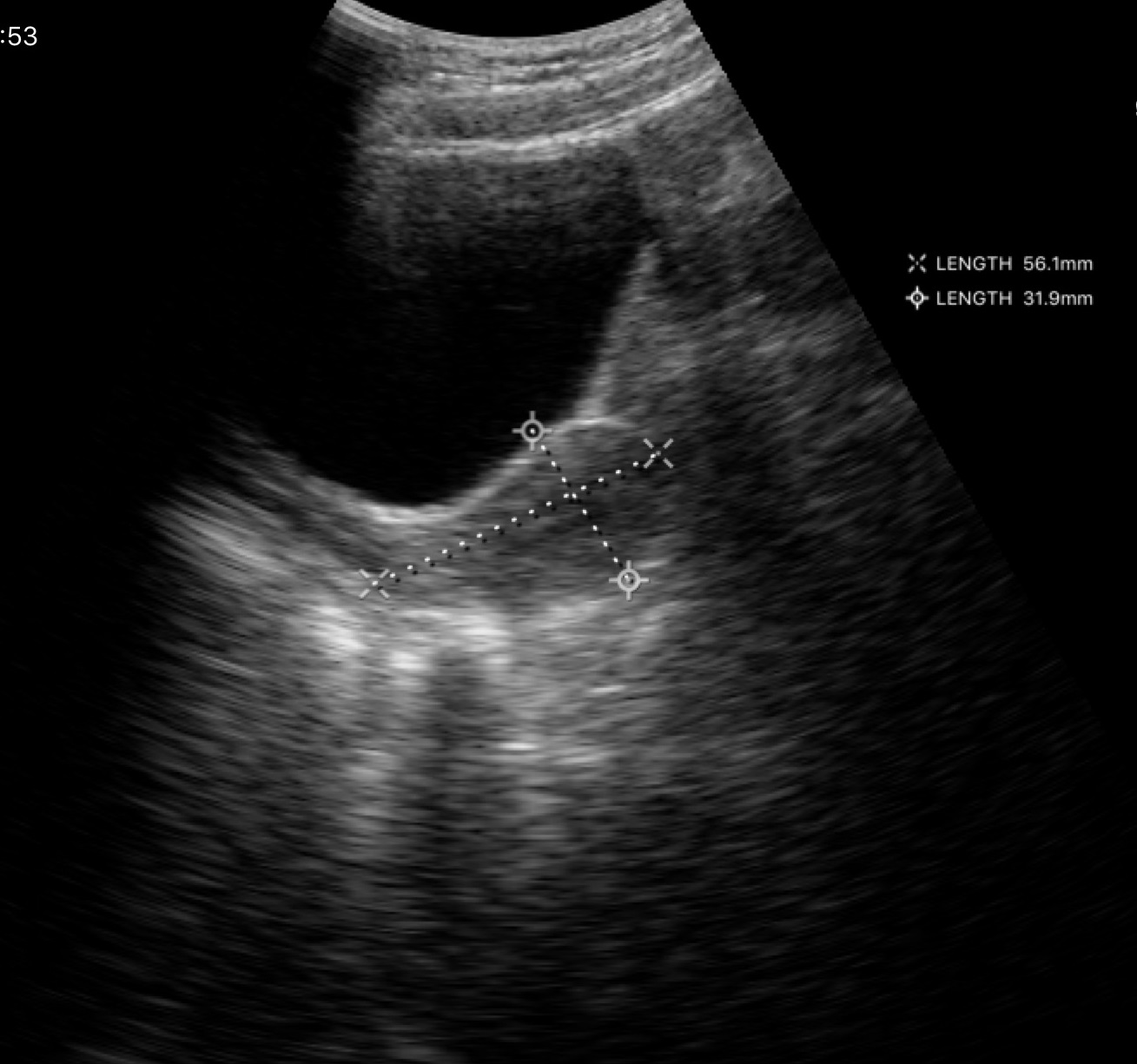
{
  "modality": {
    "type": "genitourinary ultrasound"
  }
}